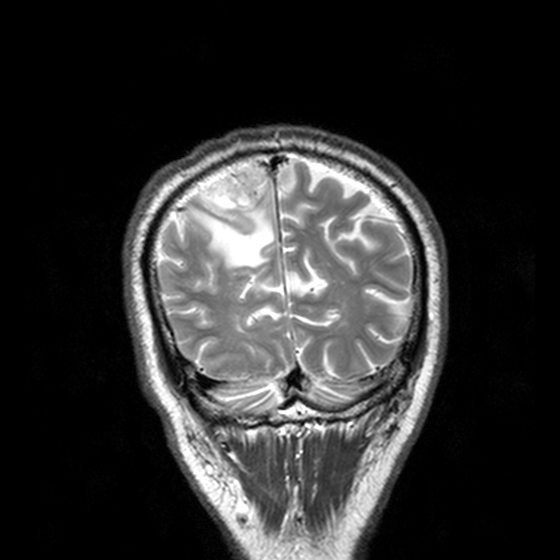
3 Tesla brain MRI. Series: T2-weighted turbo spin echo, 3 mm. Study: ring-enhancing brain masses.